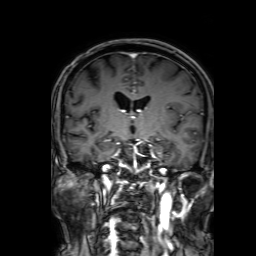
Clinical context: 3 Tesla brain MRI. Series: 3D T1-weighted with SENSE. Study: ring-enhancing brain masses.